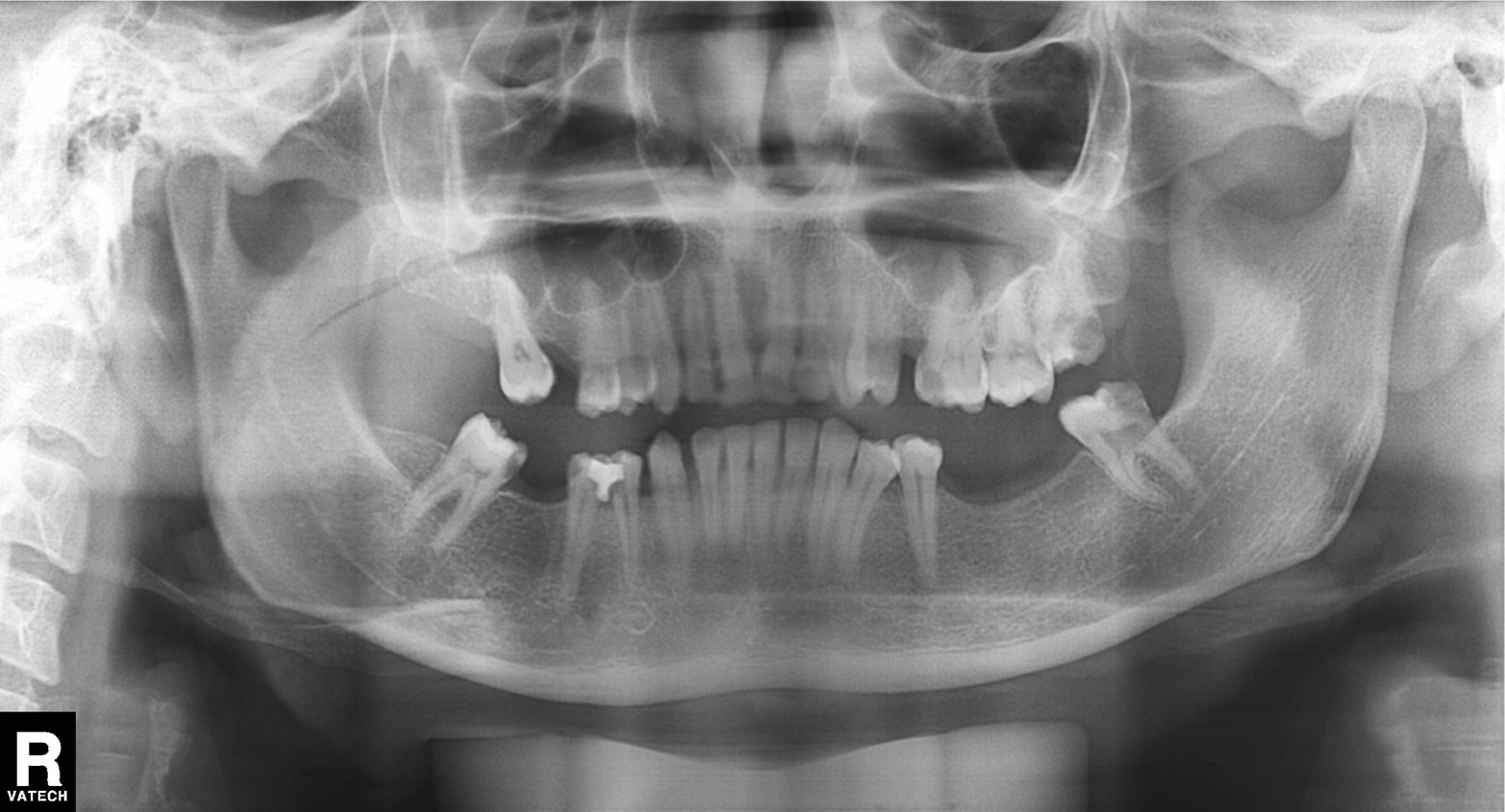
modality = panoramic dental radiograph (orthopantomogram)
finding = dental caries (cavities)